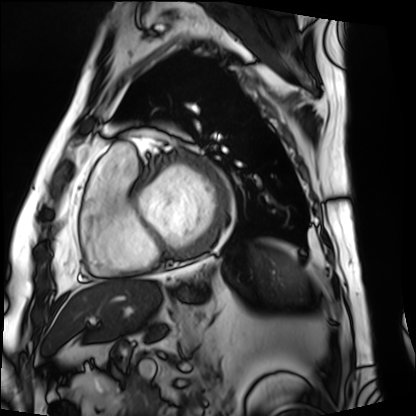
Case:
* modality · cardiac MRI
* subject group · patient